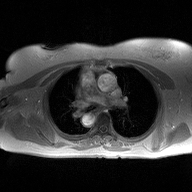
Case:
- modality: 2D phase-contrast cine MRI of the ascending aorta